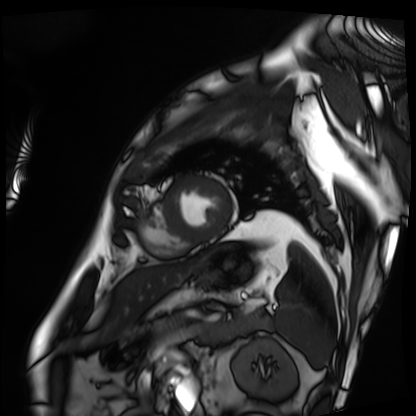
{"modality": "cardiac MRI", "cohort": "patient"}